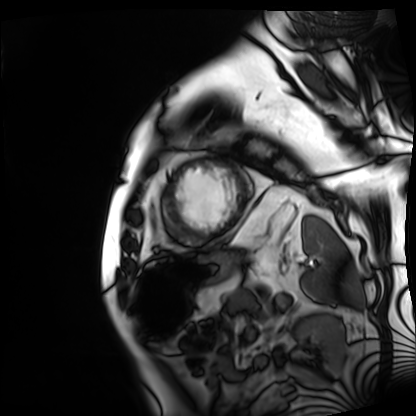
| field | value |
|---|---|
| modality | cardiac MRI |
| subject group | patient |